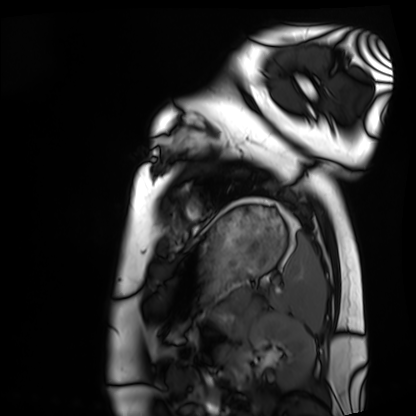
Q: What kind of scan is this?
A: Cardiac MRI.
Subject group: healthy volunteer.